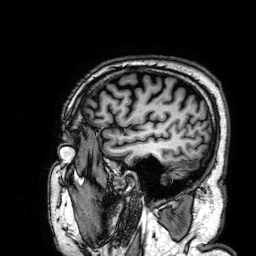
Clinical context:
3 Tesla brain MRI. Series: 3D T1-weighted. Study: ring-enhancing brain masses.